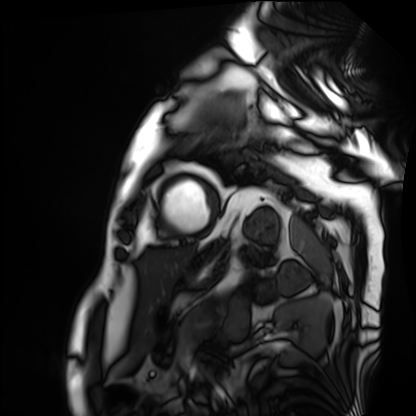
– modality: cardiac MRI
– subject group: patient